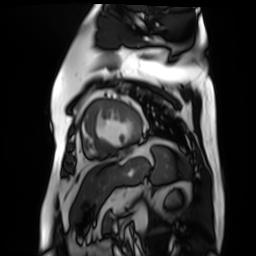
Q: What kind of scan is this?
A: Cardiac MR image of the myocardium.
Subject cohort: cardiac patient.